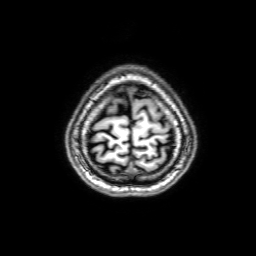
  modality:
    type: brain MRI
    field_strength: 3T
  series: 3D T1-weighted with SENSE
  study_topic: ring-enhancing brain masses